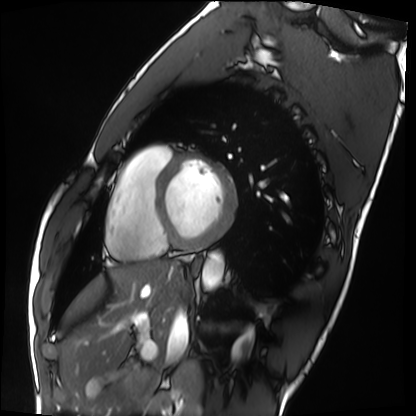
<case>
  <modality>cardiac MRI</modality>
  <cohort>healthy volunteer</cohort>
</case>